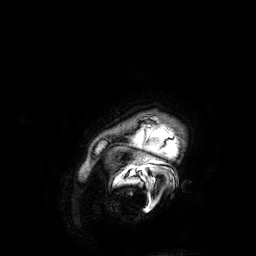
3 Tesla brain MRI. Series: 3D T1-weighted. Study: ring-enhancing brain masses.